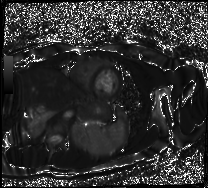
Cardiac MR image of the myocardium.
Subject cohort: healthy volunteer.